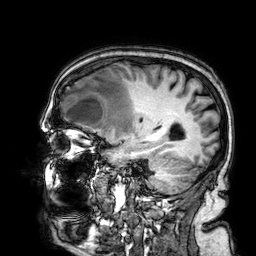
3 Tesla brain MRI. Series: 3D T1-weighted. Study: ring-enhancing brain masses.